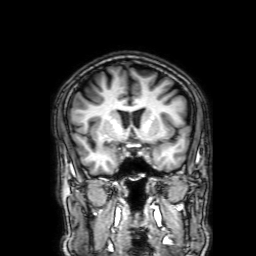
modality:
  type: brain MRI
  field_strength: 3T
series: 3D T1-weighted with SENSE
study_topic: ring-enhancing brain masses